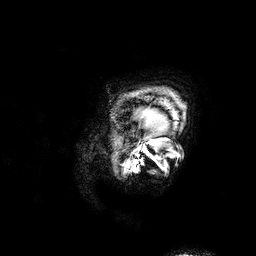
– modality: 3 Tesla brain MRI
– series: 3D T1-weighted
– study: ring-enhancing brain masses